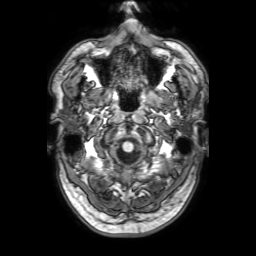
3 Tesla brain MRI. Series: 3D T1-weighted with SENSE. Study: ring-enhancing brain masses.